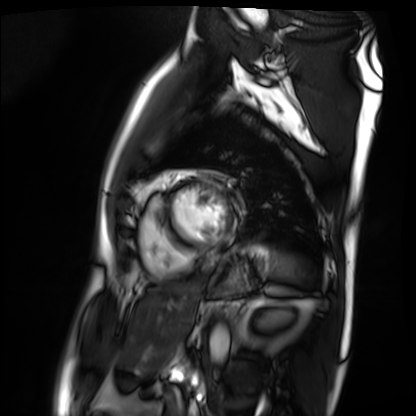
– modality · cardiac MRI
– subject group · patient